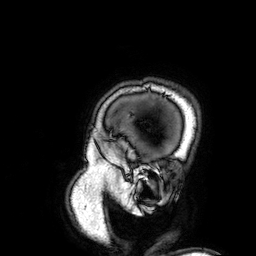
{
  "modality": {
    "type": "brain MRI",
    "field_strength": "3T"
  },
  "series": "3D T1-weighted",
  "study_topic": "ring-enhancing brain masses"
}